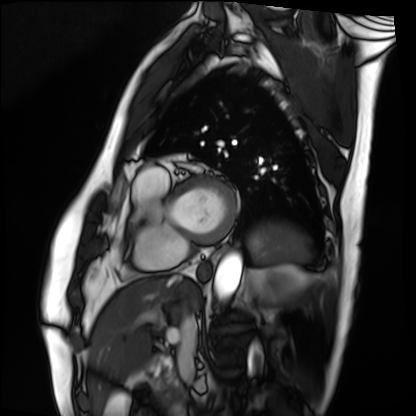
modality=cardiac MRI | subject group=patient.